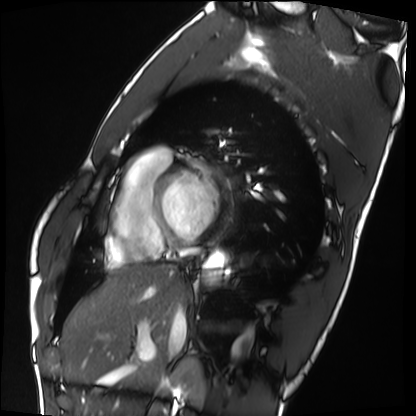
Case summary: Cardiac MRI. Subject group: healthy volunteer.